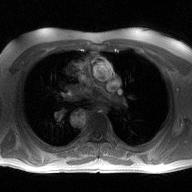
modality: 2D phase-contrast cine MRI of the ascending aorta